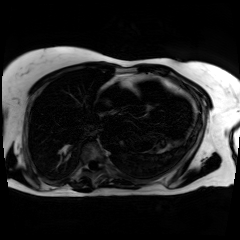
– modality · chemical-shift-encoded cardiac MRI